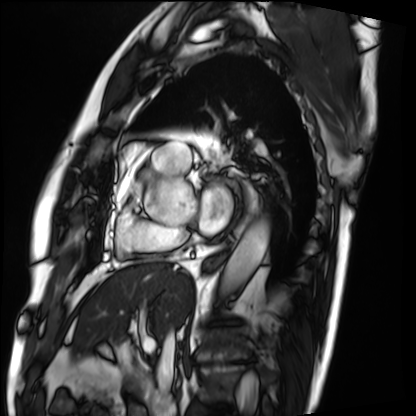
modality = cardiac MRI, subject group = patient.